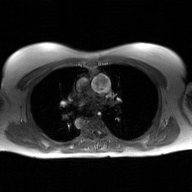
  modality:
    type: 2D phase-contrast cine MRI
    region: ascending aorta
    reconstruction: GAN super-resolution reconstruction